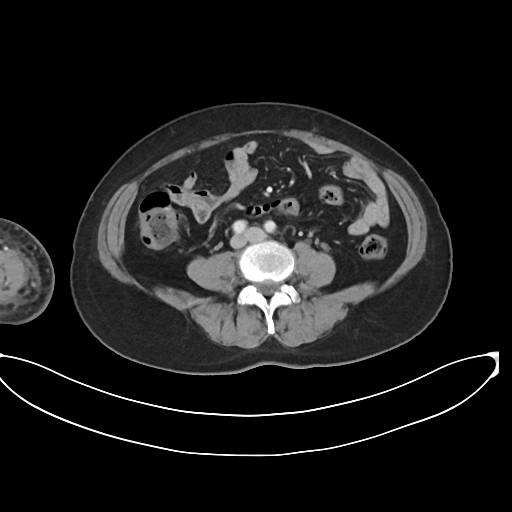
| field | value |
|---|---|
| modality | multiphase abdominal CT, liver, arterial phase |